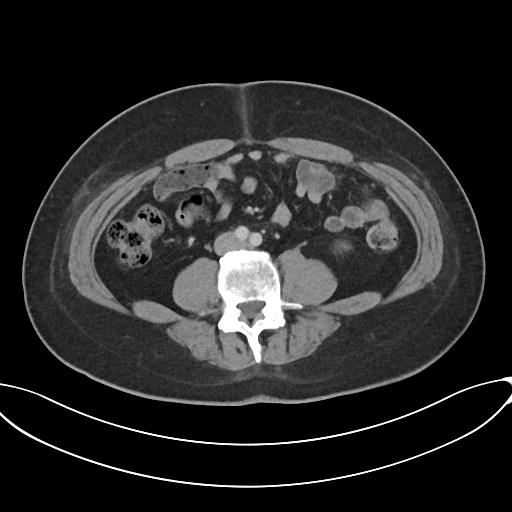
• modality: multiphase abdominal CT, liver, portal venous phase
• patient: male, age 44
• history: prior chemotherapy